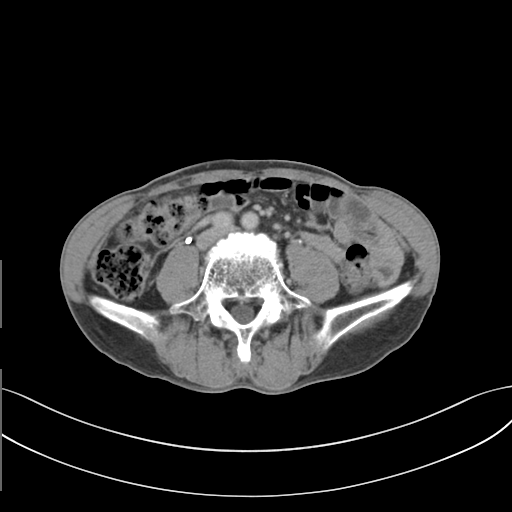
{"modality": {"type": "multiphase abdominal CT", "region": "liver", "phase": "delayed"}}